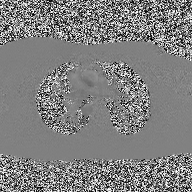
Case summary: 2D phase-contrast cine MRI of the ascending aorta, high-resolution GRAPPA acquisition.